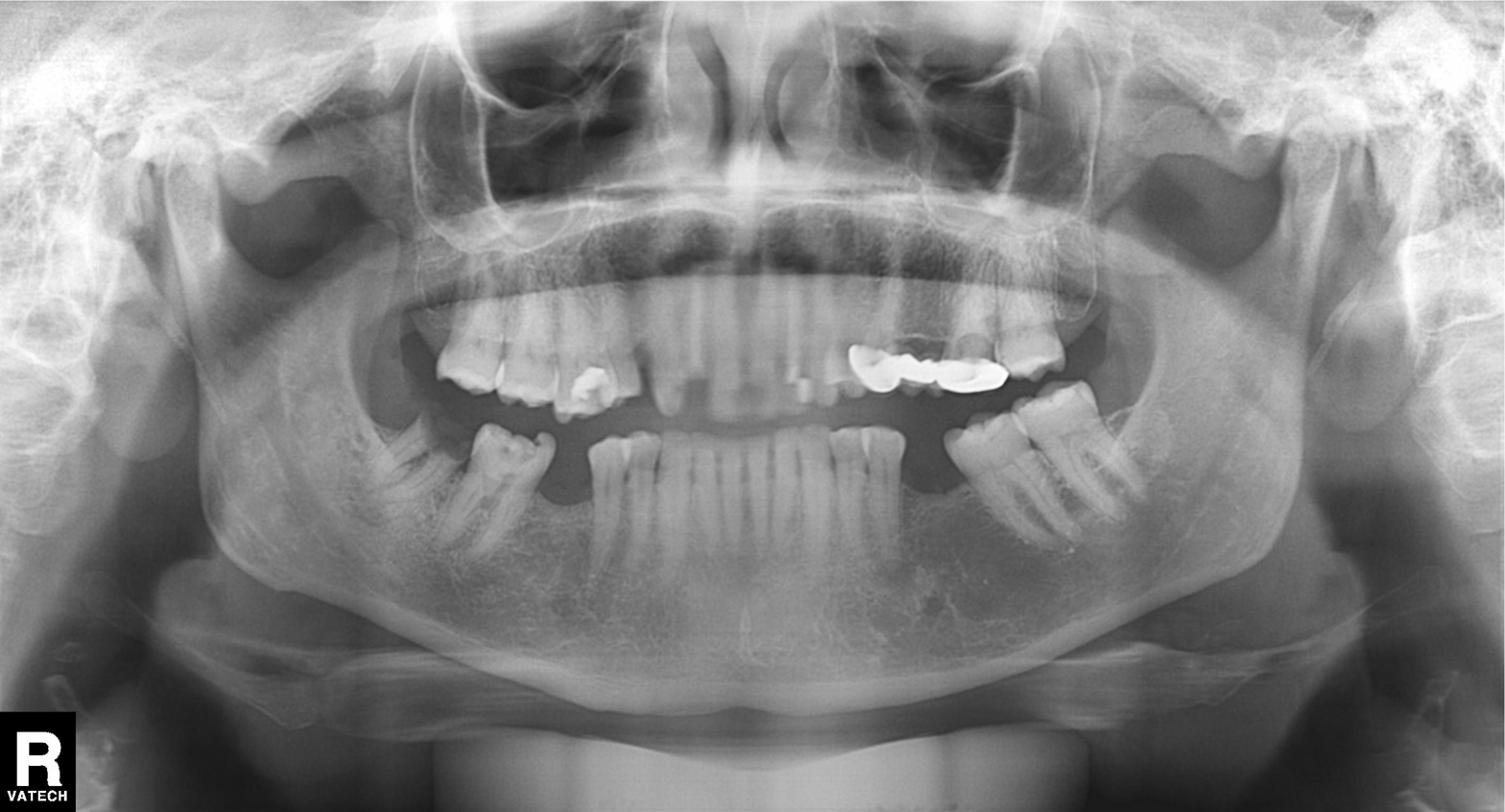
Panoramic dental radiograph (orthopantomogram). Finding: dental caries (cavities).